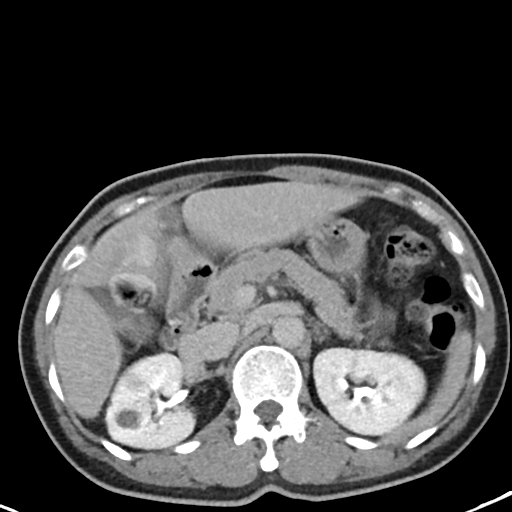
Case summary: Multiphase abdominal CT, liver, delayed phase. Patient: female, age 48.